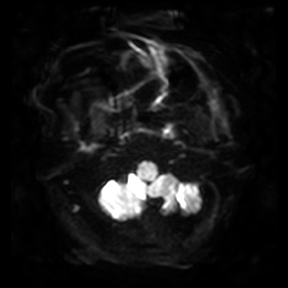
Clinical context:
3 Tesla brain MRI. Series: diffusion-weighted imaging. Study: ring-enhancing brain masses.